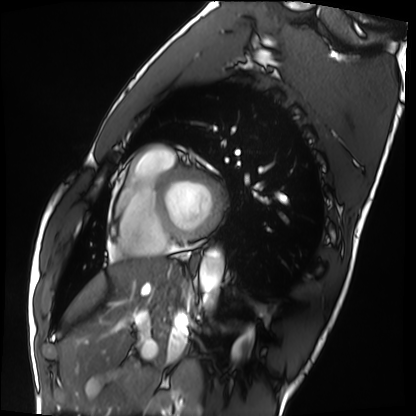
Case summary: Cardiac MRI. Subject group: healthy volunteer.